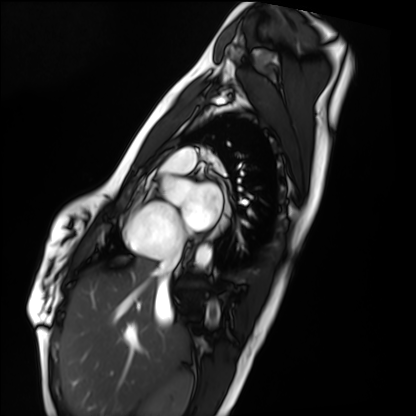
Cardiac MRI.
Subject group: healthy volunteer.